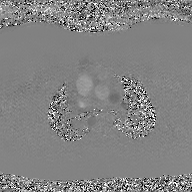
2D phase-contrast cine MRI of the ascending aorta, GAN super-resolution reconstruction.